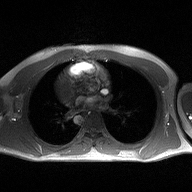
2D phase-contrast cine MRI of the ascending aorta, high-resolution GRAPPA acquisition.